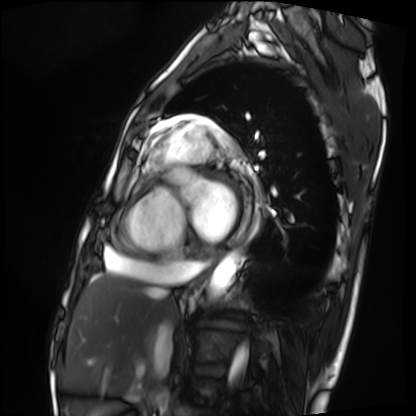
modality: cardiac MRI
subject group: patient